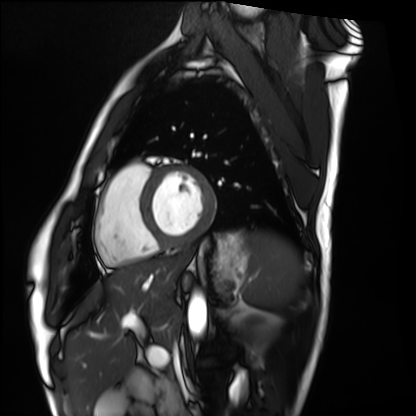
Clinical context: Cardiac MRI. Subject group: healthy volunteer.